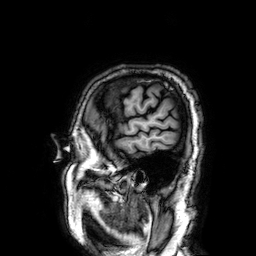
modality: 3 Tesla brain MRI; series: 3D T1-weighted; study: ring-enhancing brain masses.